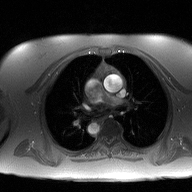
modality: 2D phase-contrast cine MRI of the ascending aorta.